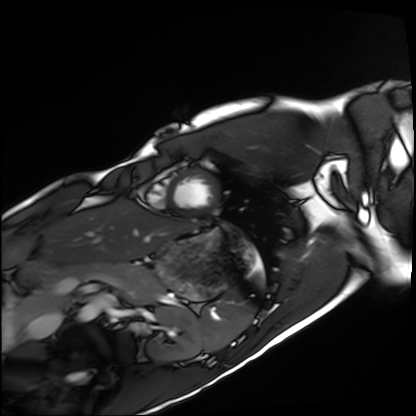
Cardiac MRI. Subject group: healthy volunteer.